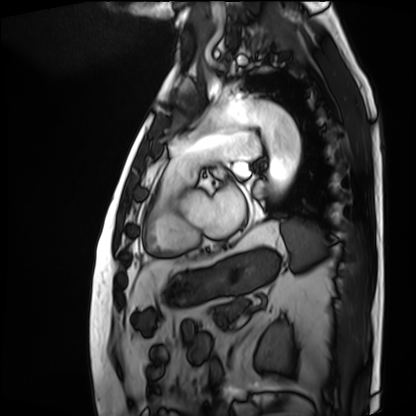
Clinical context: Cardiac MRI. Subject group: patient.